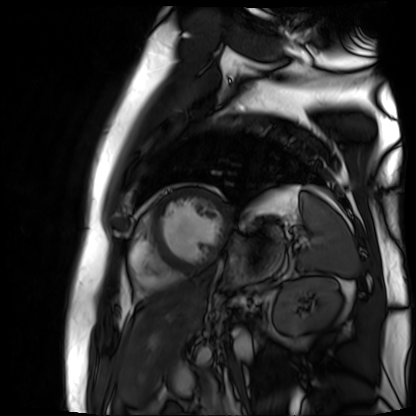
modality = cardiac MR image of the myocardium; subject cohort = cardiac patient.